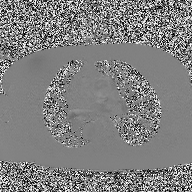
Summary: 2D phase-contrast cine MRI of the ascending aorta, high-resolution GRAPPA acquisition.